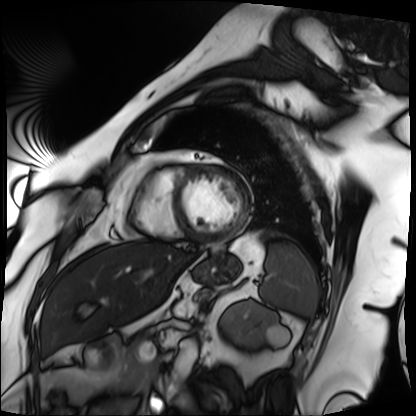
Case summary: Cardiac MRI. Subject group: patient.